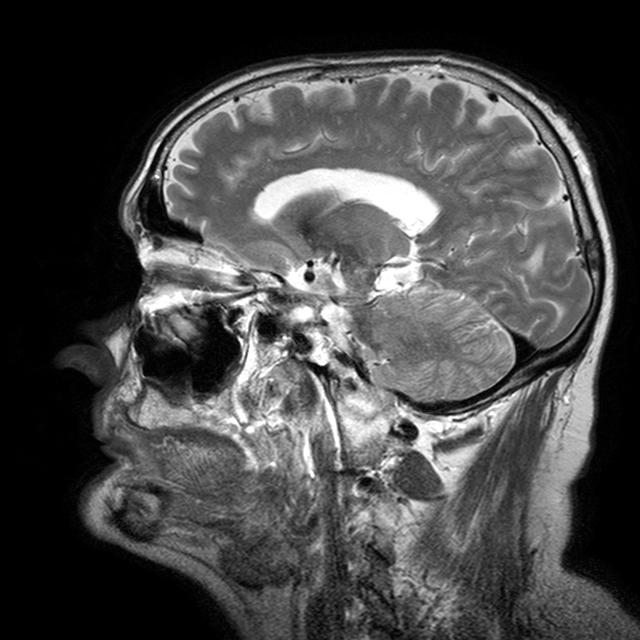
3 Tesla brain MRI. Series: T2-weighted turbo spin echo with CLEAR. Study: ring-enhancing brain masses.